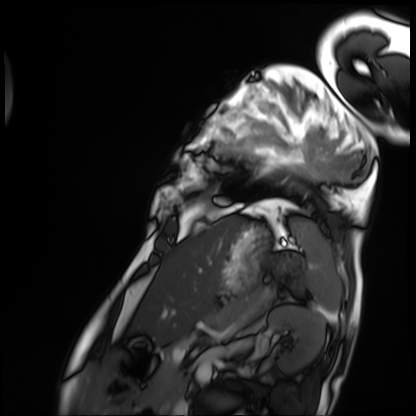
– modality · cardiac MRI
– subject group · patient